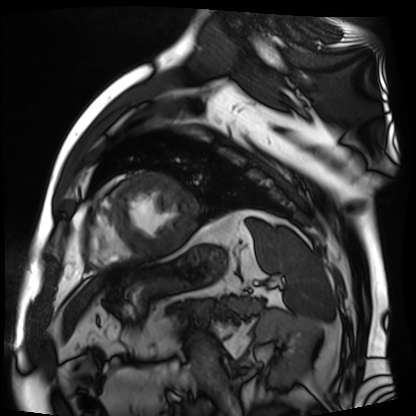
* modality: cardiac MR image of the myocardium
* subject cohort: cardiac patient